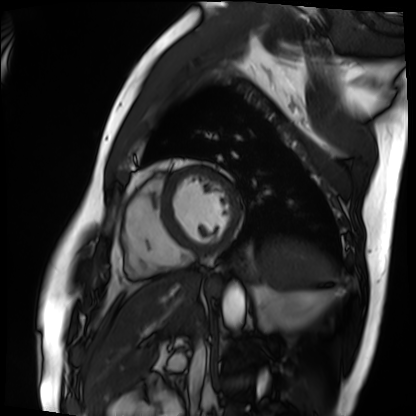
Clinical context:
Cardiac MRI. Subject group: patient.